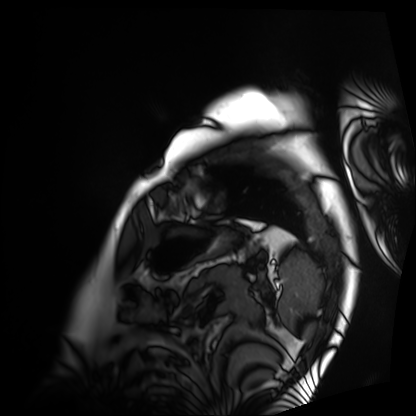
- modality · cardiac MRI
- subject group · patient